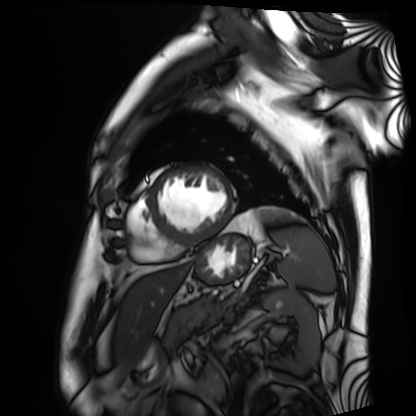
Case:
– modality — cardiac MRI
– subject group — patient